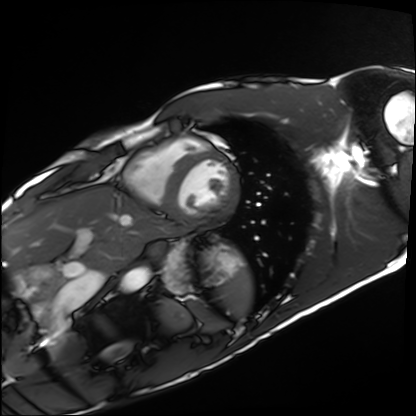
Clinical context:
Cardiac MRI. Subject group: healthy volunteer.